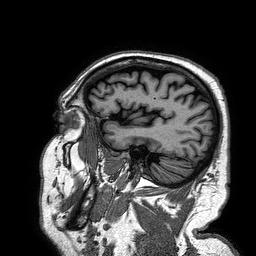
3 Tesla brain MRI. Series: 3D T1-weighted turbo field echo. Study: ring-enhancing brain masses.